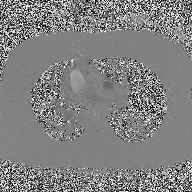
2D phase-contrast cine MRI of the ascending aorta, high-resolution GRAPPA acquisition.